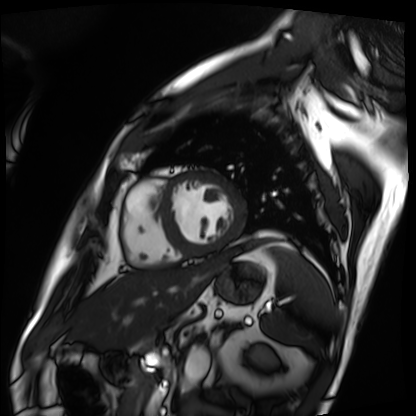
- modality · cardiac MRI
- subject group · patient